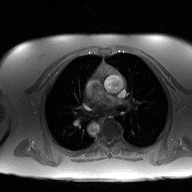
2D phase-contrast cine MRI of the ascending aorta, high-resolution GRAPPA acquisition.